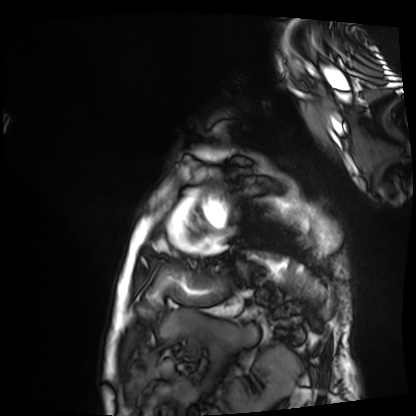
Clinical context:
Cardiac MRI. Subject group: patient.